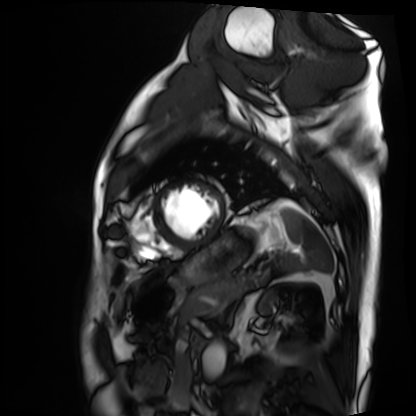
Cardiac MRI.
Subject group: patient.